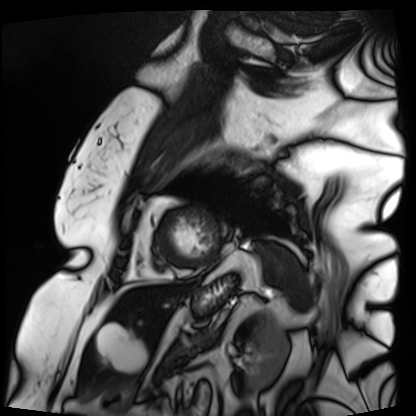
modality = cardiac MRI; subject group = patient.